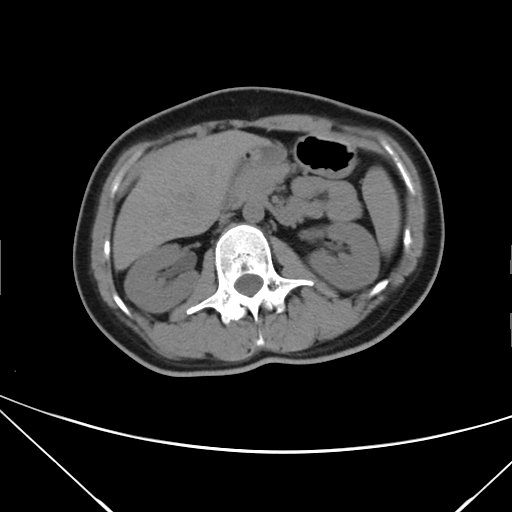
modality — multiphase abdominal CT, liver, non-contrast phase; patient — female, age 39.